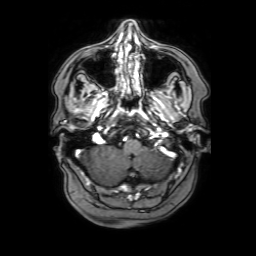
3 Tesla brain MRI.
Series: 3D T1-weighted with SENSE.
Study: ring-enhancing brain masses.